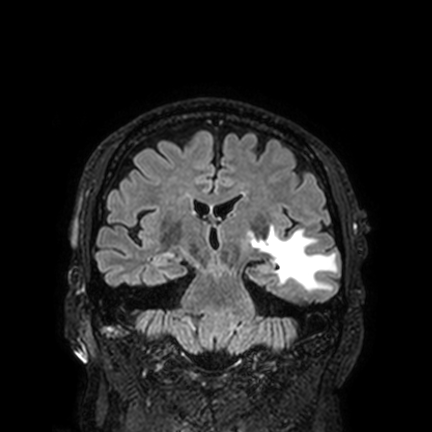
Clinical context: 3 Tesla brain MRI. Series: FLAIR VISTA with SENSE. Study: ring-enhancing brain masses.